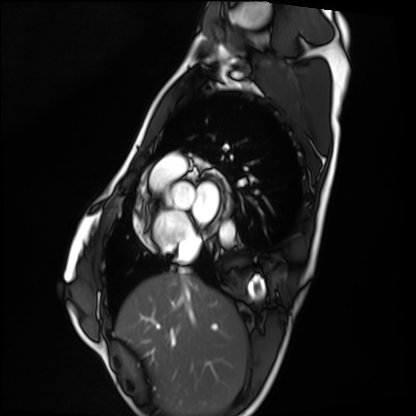
Cardiac MRI.
Subject group: healthy volunteer.